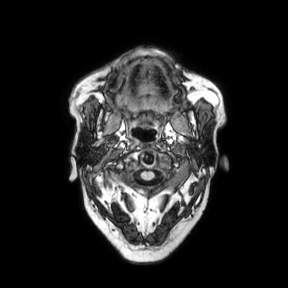
modality: 3 Tesla brain MRI; series: axial; study: ring-enhancing brain masses.